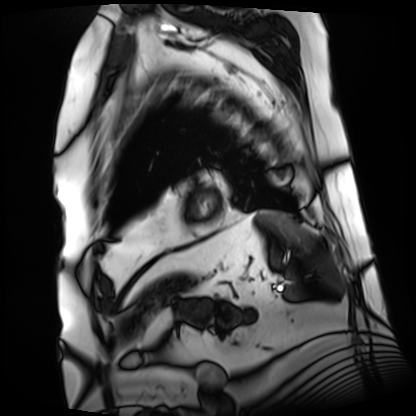
Cardiac MRI. Subject group: patient.